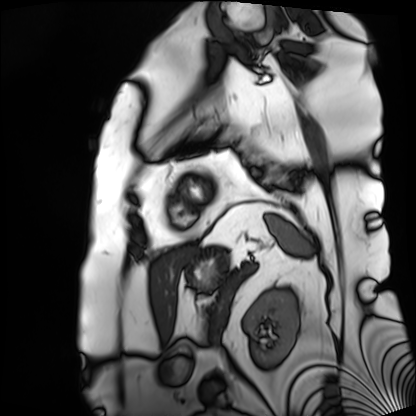
modality: cardiac MRI
cohort: patient